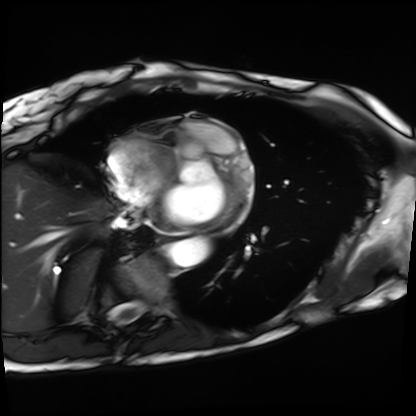
Clinical context: Cardiac MRI. Subject group: patient.